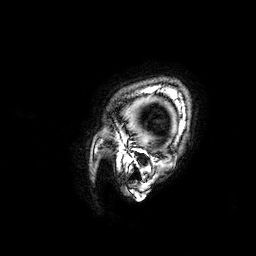
| field | value |
|---|---|
| modality | 3 Tesla brain MRI |
| series | 3D T1-weighted |
| study | ring-enhancing brain masses |